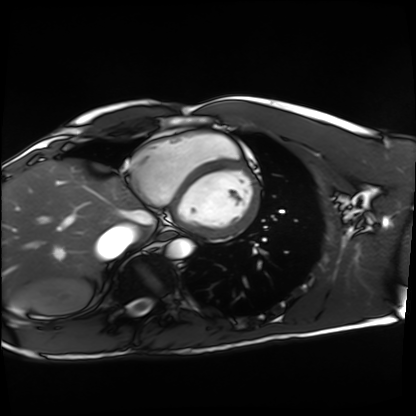
• modality — cardiac MRI
• subject group — healthy volunteer